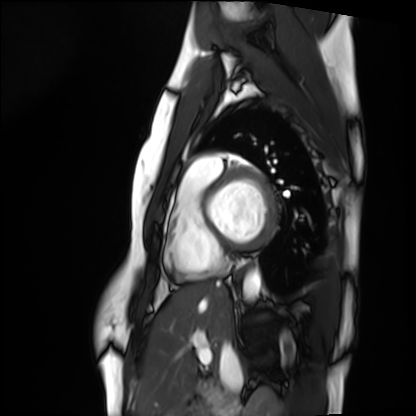
Q: What kind of scan is this?
A: Cardiac MRI.
Subject group: healthy volunteer.